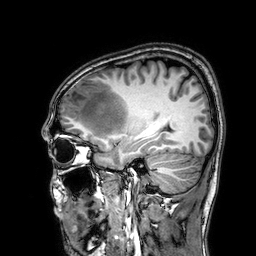
  modality:
    type: brain MRI
    field_strength: 3T
  series: 3D T1-weighted
  study_topic: ring-enhancing brain masses